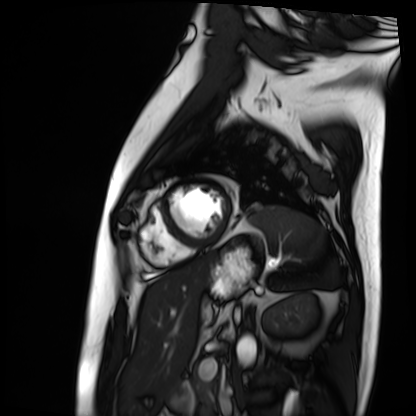
Cardiac MRI. Subject group: patient.